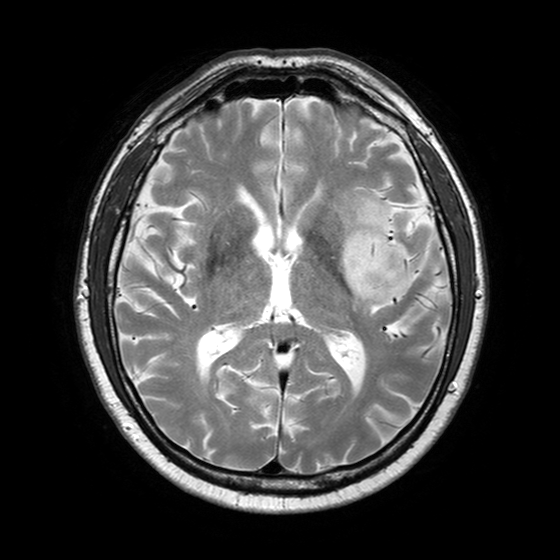
Summary:
3 Tesla brain MRI. Series: T2-weighted turbo spin echo with SENSE. Study: ring-enhancing brain masses.